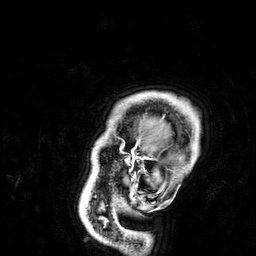
| field | value |
|---|---|
| modality | 3 Tesla brain MRI |
| series | 3D T1-weighted |
| study | ring-enhancing brain masses |